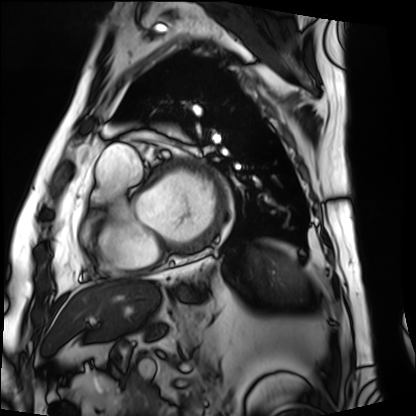
* modality — cardiac MRI
* subject group — patient